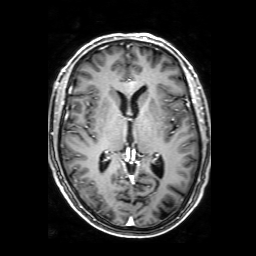
<record>
<modality>
  <type>brain MRI</type>
  <field_strength>3T</field_strength>
</modality>
<series>3D T1-weighted with SENSE</series>
<study_topic>ring-enhancing brain masses</study_topic>
</record>